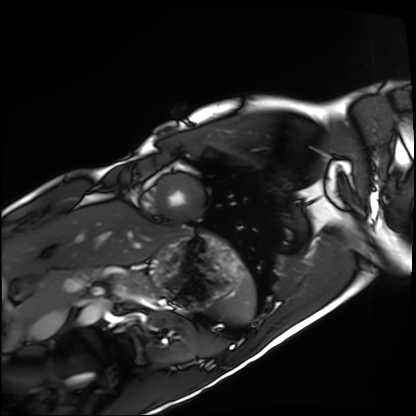
Cardiac MRI.
Subject group: healthy volunteer.